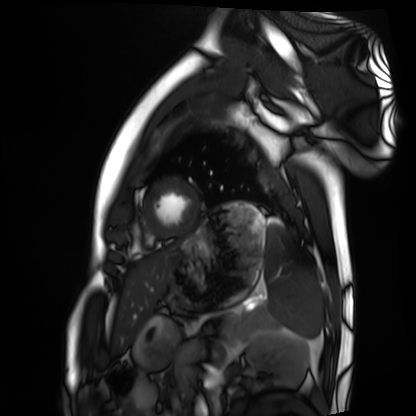
Q: What kind of scan is this?
A: Cardiac MRI.
Subject group: healthy volunteer.